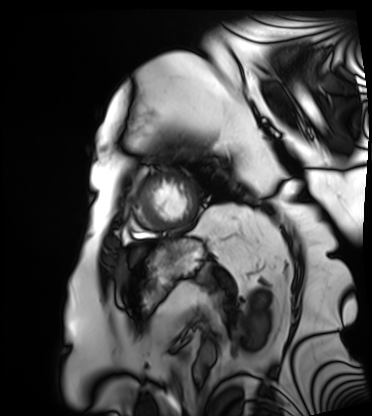
Cardiac MRI.
Subject group: patient.